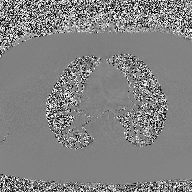
2D phase-contrast cine MRI of the ascending aorta, high-resolution GRAPPA acquisition.